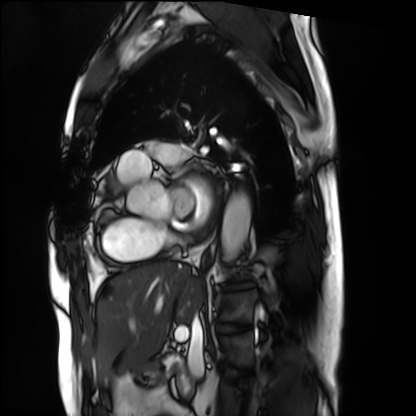
Q: What kind of scan is this?
A: Cardiac MRI.
Subject group: patient.